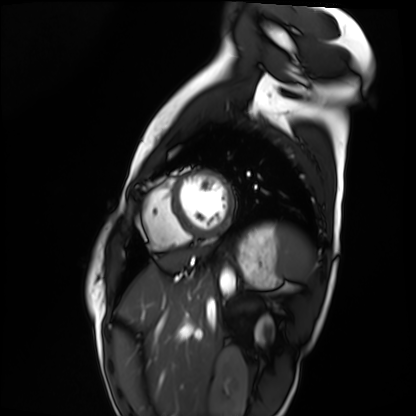
Cardiac MRI.
Subject group: healthy volunteer.